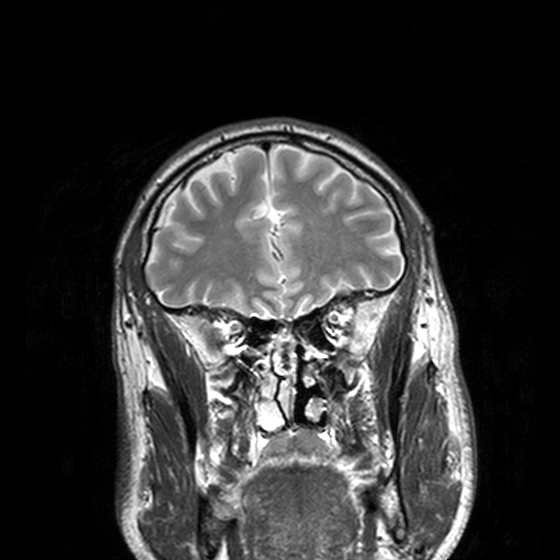
| field | value |
|---|---|
| modality | 3 Tesla brain MRI |
| study | ring-enhancing brain masses |